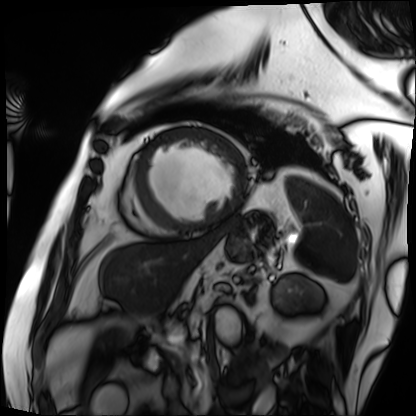
<scan>
<modality>cardiac MRI</modality>
<cohort>patient</cohort>
</scan>